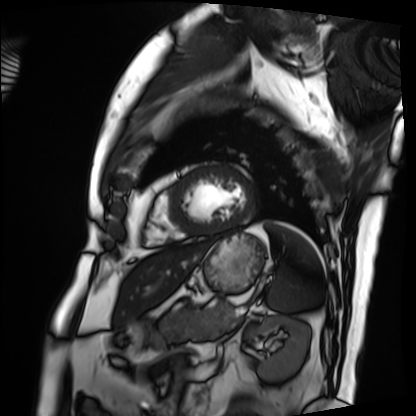
Cardiac MRI.
Subject group: patient.